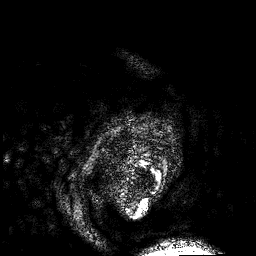
{"modality": {"type": "brain MRI", "field_strength": "3T"}, "series": "3D T1-weighted", "study_topic": "ring-enhancing brain masses"}